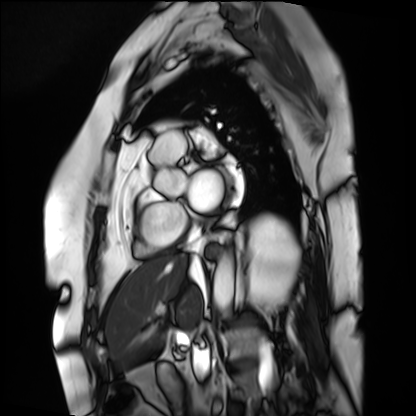
modality=cardiac MRI | subject group=patient.